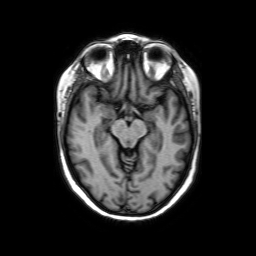
modality: 3 Tesla brain MRI | series: axial without contrast | study: ring-enhancing brain masses.